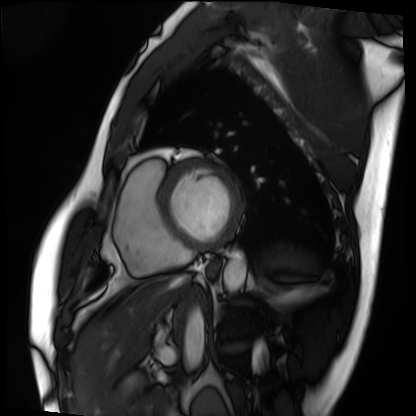
Cardiac MRI.
Subject group: patient.